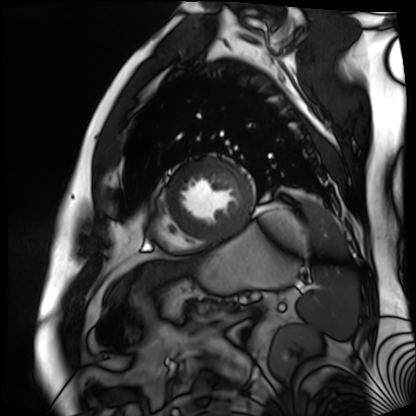
Summary:
Cardiac MR image of the myocardium. Subject cohort: cardiac patient.